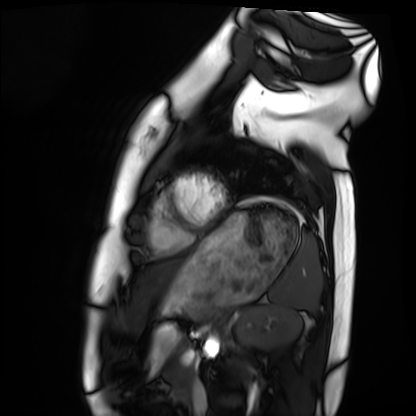
modality: cardiac MRI
subject group: healthy volunteer